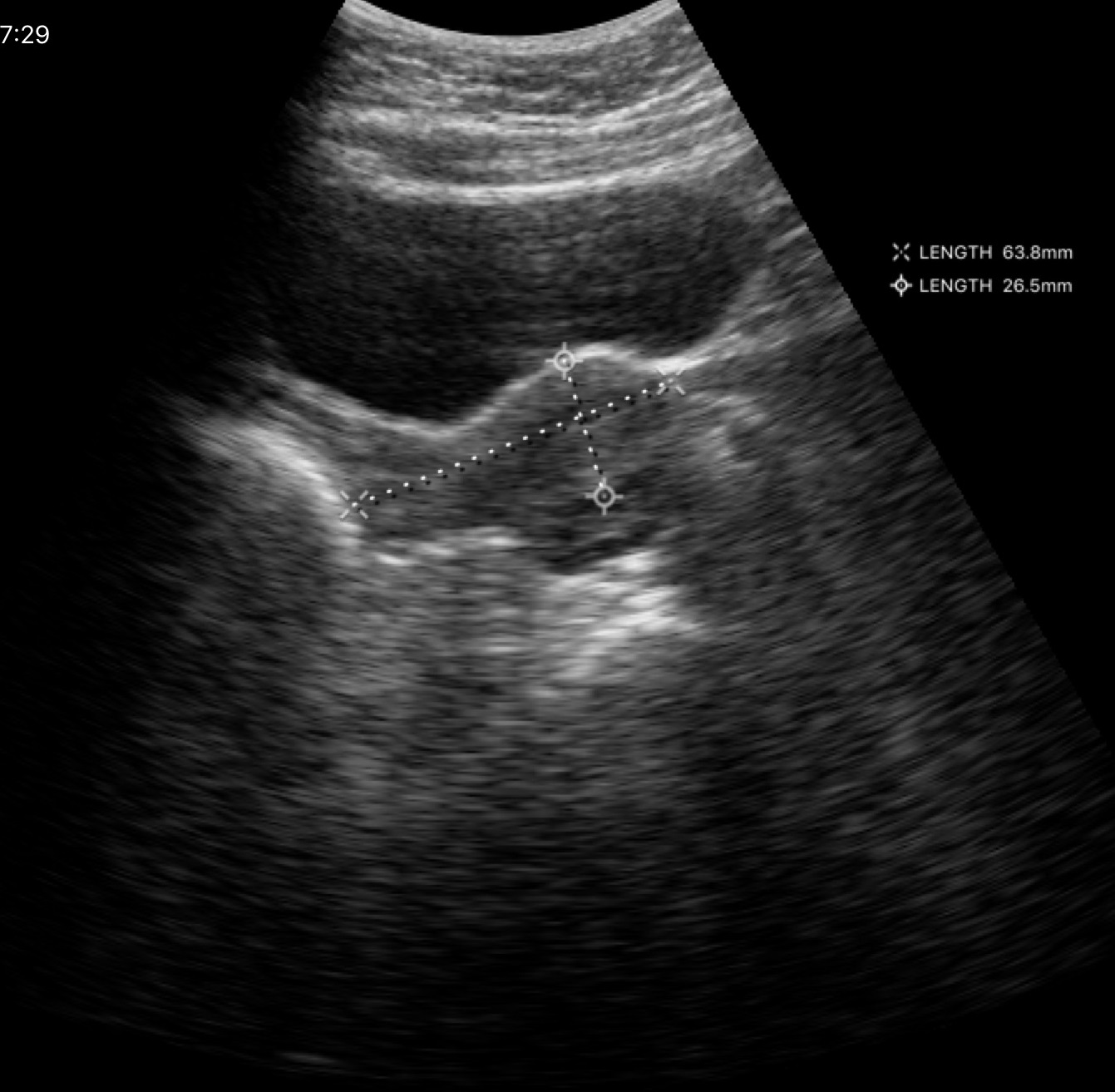
• modality — genitourinary ultrasound